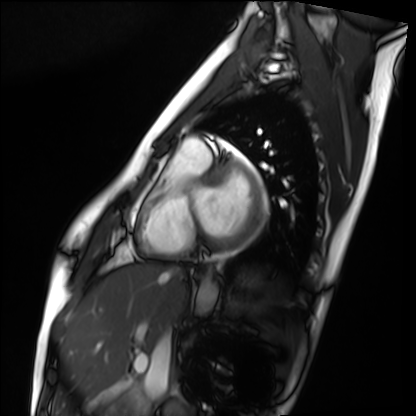
  modality: cardiac MRI
  cohort: healthy volunteer